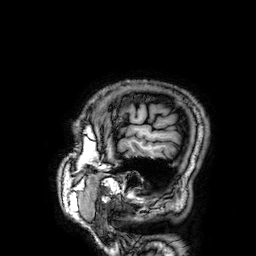
Case:
- modality: 3 Tesla brain MRI
- series: 3D T1-weighted
- study: ring-enhancing brain masses